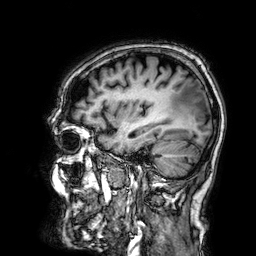
Summary: 3 Tesla brain MRI. Series: 3D T1-weighted. Study: ring-enhancing brain masses.